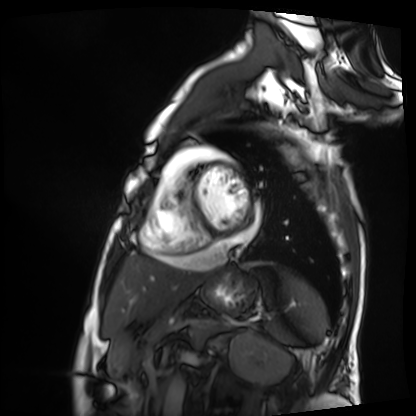
Q: What kind of scan is this?
A: Cardiac MRI.
Subject group: patient.